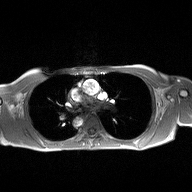
modality: 2D phase-contrast cine MRI of the ascending aorta.